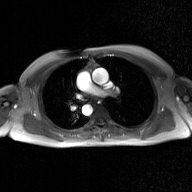
Q: What kind of scan is this?
A: 2D phase-contrast cine MRI of the ascending aorta, GAN super-resolution reconstruction.